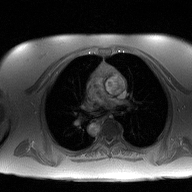
modality = 2D phase-contrast cine MRI of the ascending aorta.